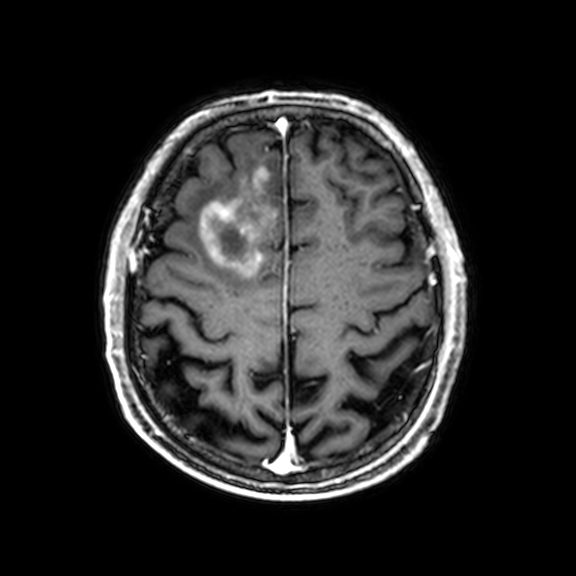
Summary: 3 Tesla brain MRI. Series: 3D T1-weighted with CLEAR. Study: ring-enhancing brain masses.